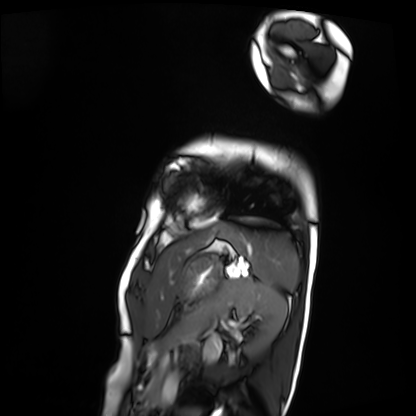
Clinical context:
Cardiac MRI. Subject group: patient.